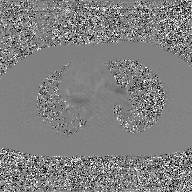
* modality: 2D phase-contrast cine MRI of the ascending aorta, GAN super-resolution reconstruction